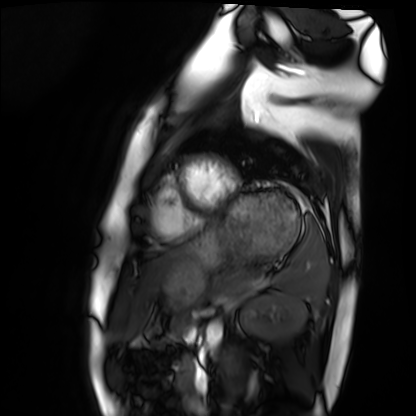
Summary: Cardiac MRI. Subject group: healthy volunteer.